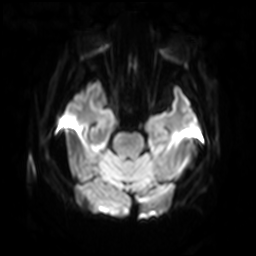
Q: What kind of scan is this?
A: 3 Tesla brain MRI.
Q: Series?
A: Diffusion-weighted imaging with SENSE (WIP).
Study: ring-enhancing brain masses.